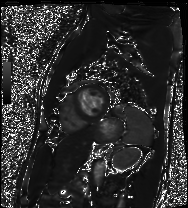
– modality · cardiac MRI
– subject group · patient